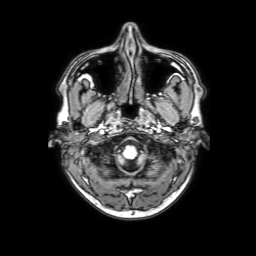
modality = 3 Tesla brain MRI; series = 3D T1-weighted with SENSE; study = ring-enhancing brain masses.